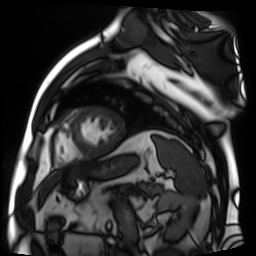
Cardiac MR image of the myocardium. Subject cohort: cardiac patient.